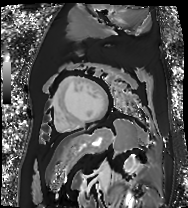
| field | value |
|---|---|
| modality | cardiac MR image of the myocardium |
| subject cohort | cardiac patient |